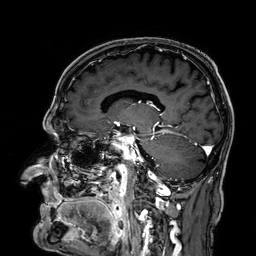
| field | value |
|---|---|
| modality | 3 Tesla brain MRI |
| series | 3D T1-weighted |
| study | ring-enhancing brain masses |